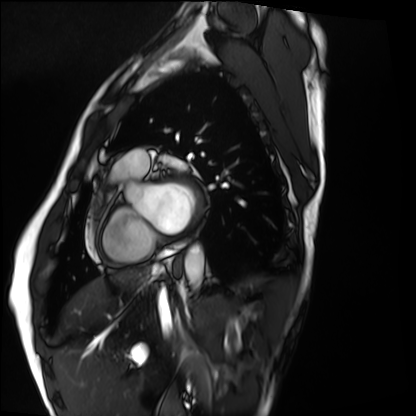
modality — cardiac MRI | subject group — healthy volunteer.